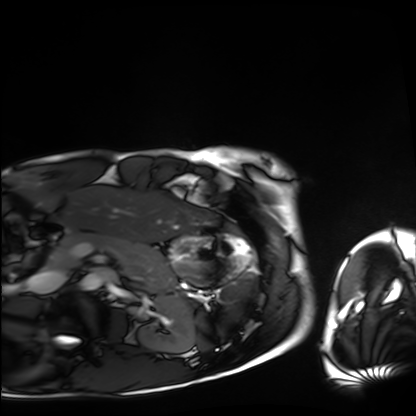
Cardiac MRI. Subject group: healthy volunteer.